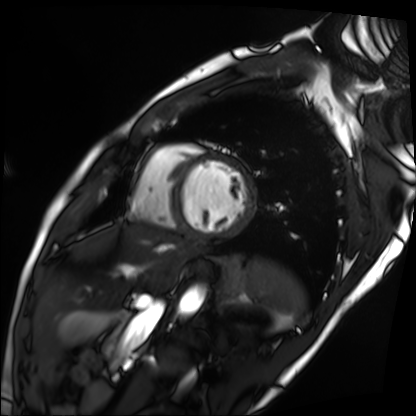
modality: cardiac MRI | subject group: patient.